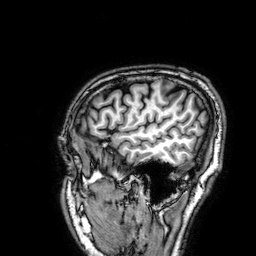
Summary: 3 Tesla brain MRI. Series: 3D T1-weighted. Study: ring-enhancing brain masses.